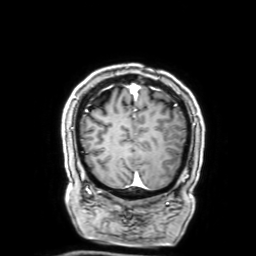
modality: 3 Tesla brain MRI; series: 3D T1-weighted with SENSE; study: ring-enhancing brain masses.